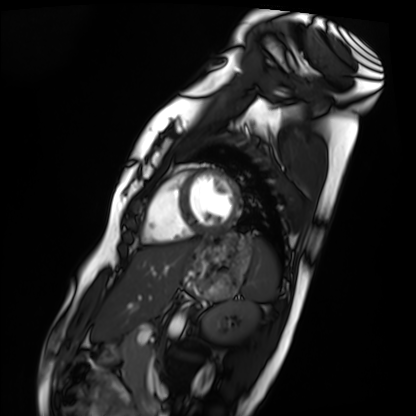
modality: cardiac MRI
cohort: healthy volunteer